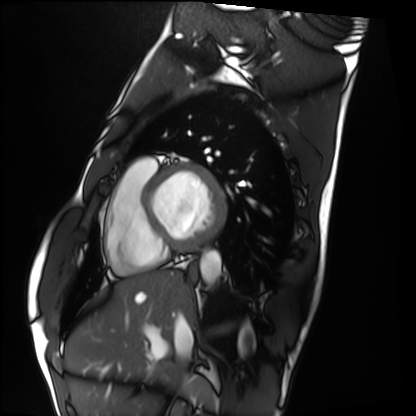
Q: What kind of scan is this?
A: Cardiac MRI.
Subject group: healthy volunteer.